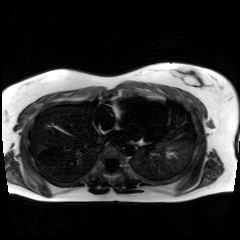
Chemical-shift-encoded cardiac MRI.